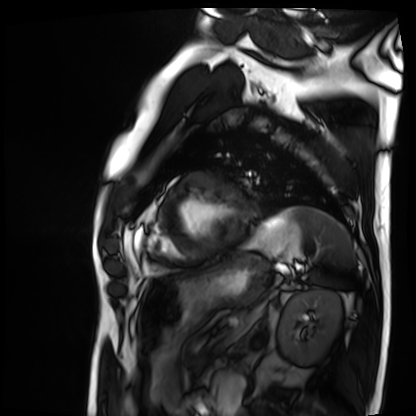
modality: cardiac MRI
subject group: patient